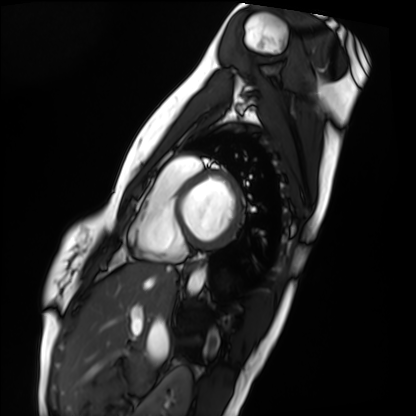
  modality: cardiac MRI
  cohort: healthy volunteer